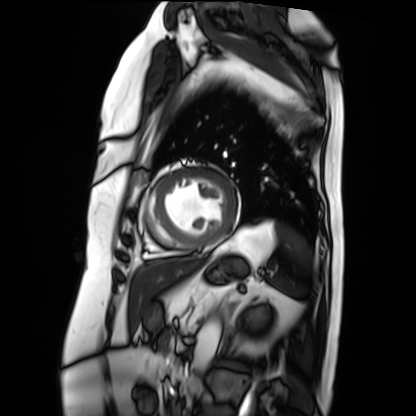
- modality — cardiac MRI
- subject group — patient